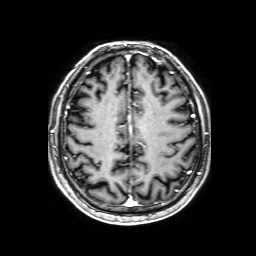
Summary:
3 Tesla brain MRI. Series: 3D T1-weighted with SENSE. Study: ring-enhancing brain masses.